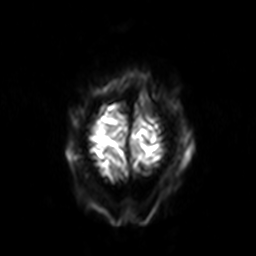
Summary:
3 Tesla brain MRI. Series: diffusion-weighted imaging with SENSE (WIP). Study: ring-enhancing brain masses.